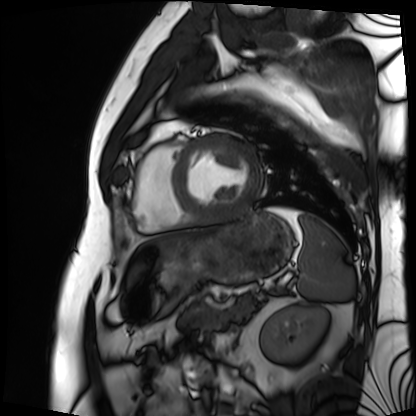
Clinical context:
Cardiac MRI. Subject group: patient.